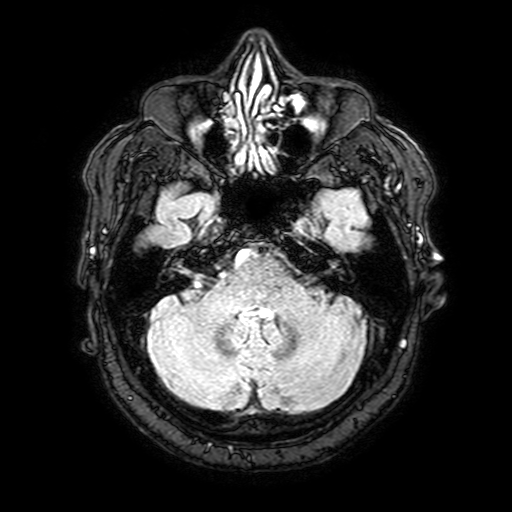
3 Tesla brain MRI.
Series: FLAIR with SPAIR, 3 mm.
Study: ring-enhancing brain masses.